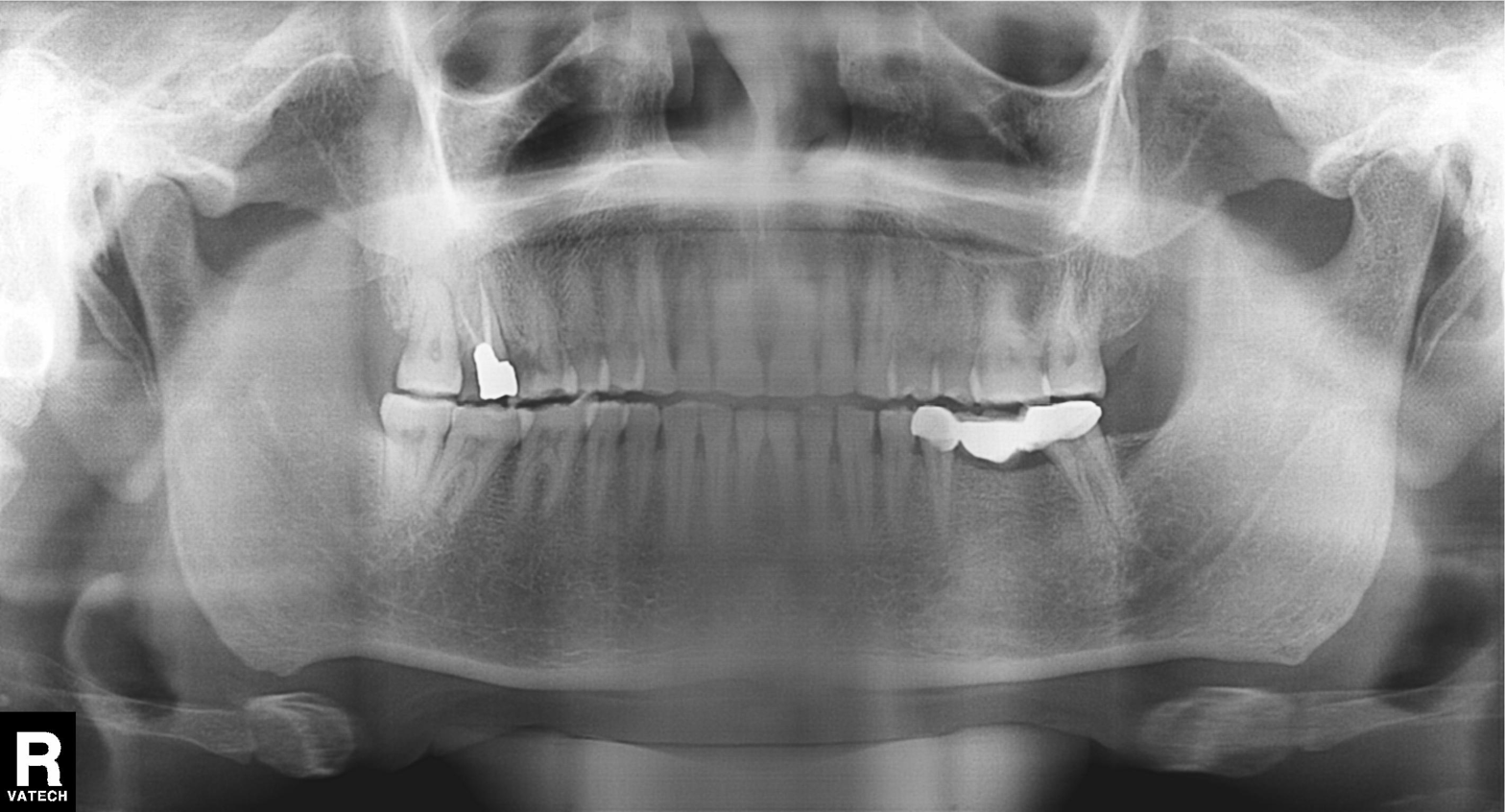
Q: What kind of scan is this?
A: Panoramic dental radiograph (orthopantomogram).
Q: What is the radiographic finding?
A: Alveolar bone loss.